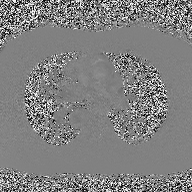
<case>
  <modality>
    <type>2D phase-contrast cine MRI</type>
    <region>ascending aorta</region>
    <reconstruction>high-resolution GRAPPA acquisition</reconstruction>
  </modality>
</case>